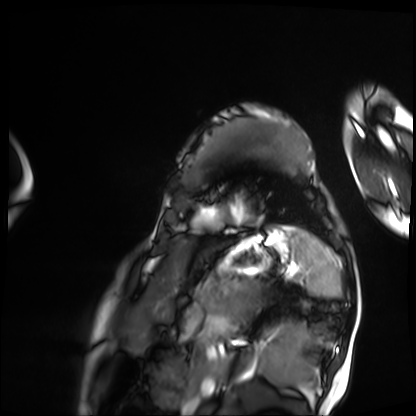
| field | value |
|---|---|
| modality | cardiac MRI |
| subject group | patient |